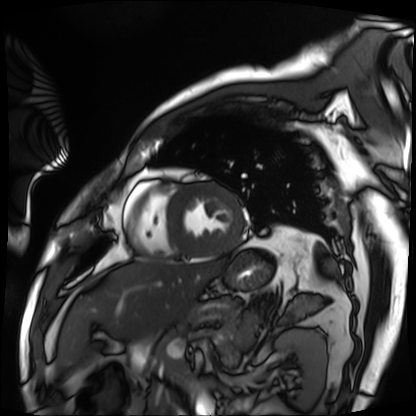
Q: What kind of scan is this?
A: Cardiac MRI.
Subject group: patient.